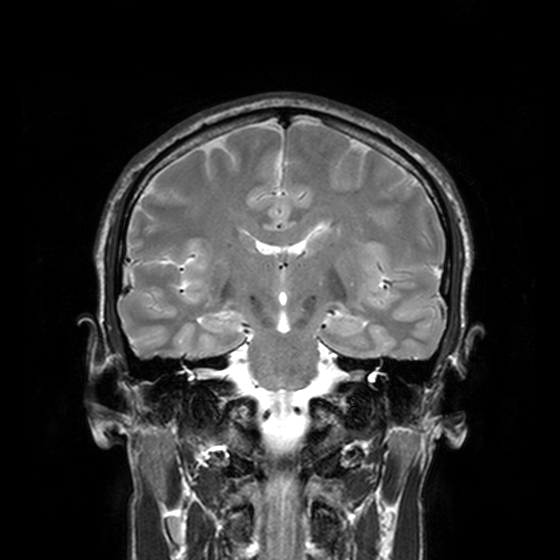
modality: 3 Tesla brain MRI | series: T2-weighted turbo spin echo, 3 mm | study: ring-enhancing brain masses.